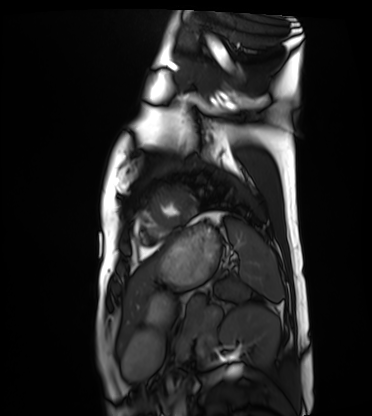
modality = cardiac MRI
subject group = healthy volunteer